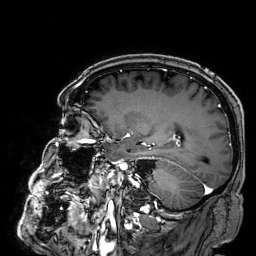
3 Tesla brain MRI.
Series: 3D T1-weighted.
Study: ring-enhancing brain masses.